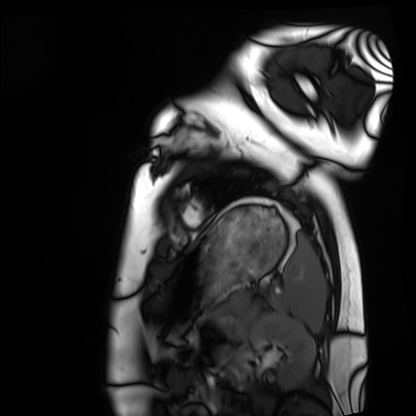
modality: cardiac MRI, subject group: healthy volunteer.